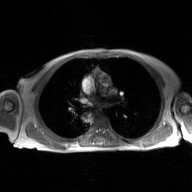
- modality: 2D phase-contrast cine MRI of the ascending aorta, GAN super-resolution reconstruction